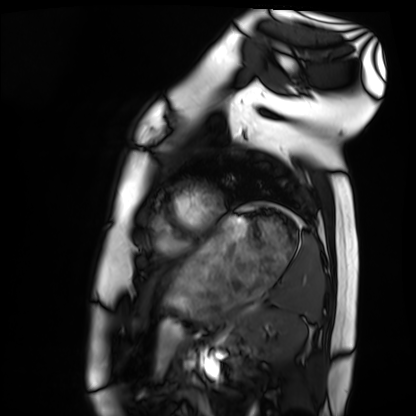
modality: cardiac MRI | subject group: healthy volunteer.